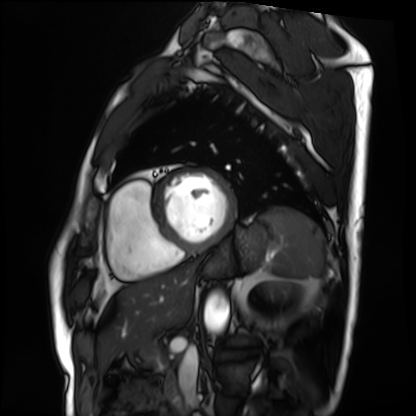
Cardiac MRI.
Subject group: patient.